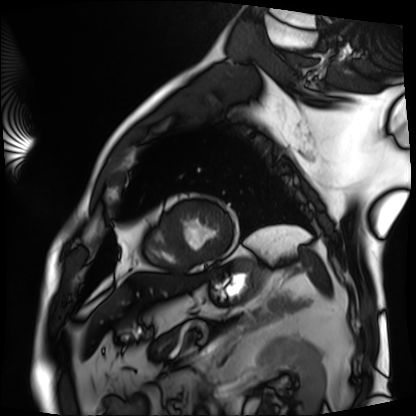
modality — cardiac MRI
subject group — patient